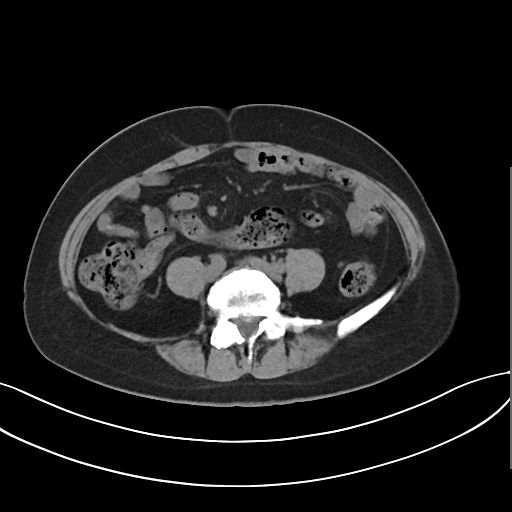
{"modality": {"type": "multiphase abdominal CT", "region": "liver", "phase": "non-contrast"}, "patient": {"sex": "female", "age": 48}, "history": ["prior chemotherapy"]}